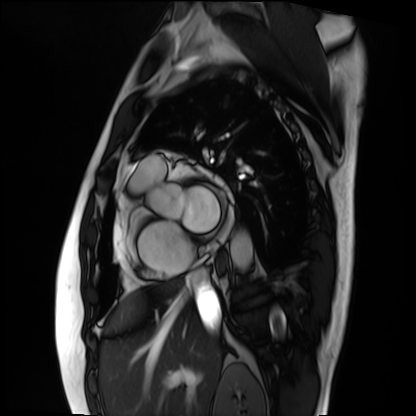
modality: cardiac MRI
subject group: patient